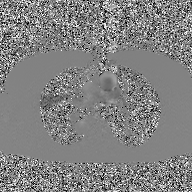
2D phase-contrast cine MRI of the ascending aorta, GAN super-resolution reconstruction.